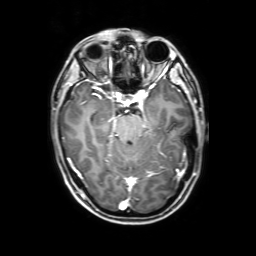
<record>
<modality>
  <type>brain MRI</type>
  <field_strength>3T</field_strength>
</modality>
<series>3D T1-weighted with SENSE</series>
<study_topic>ring-enhancing brain masses</study_topic>
</record>